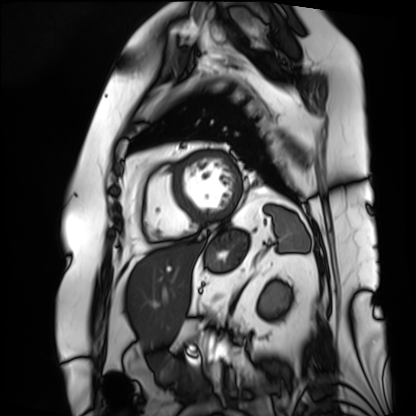
{
  "modality": "cardiac MRI",
  "cohort": "patient"
}